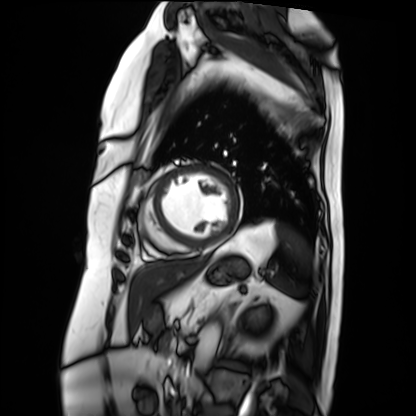
* modality · cardiac MRI
* subject group · patient